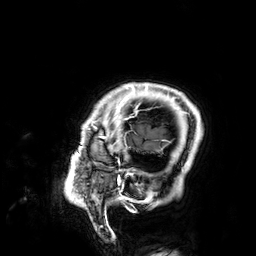
modality: 3 Tesla brain MRI
series: 3D T1-weighted
study: ring-enhancing brain masses